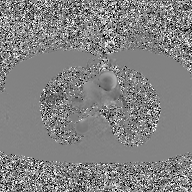
Case:
- modality — 2D phase-contrast cine MRI of the ascending aorta, GAN super-resolution reconstruction